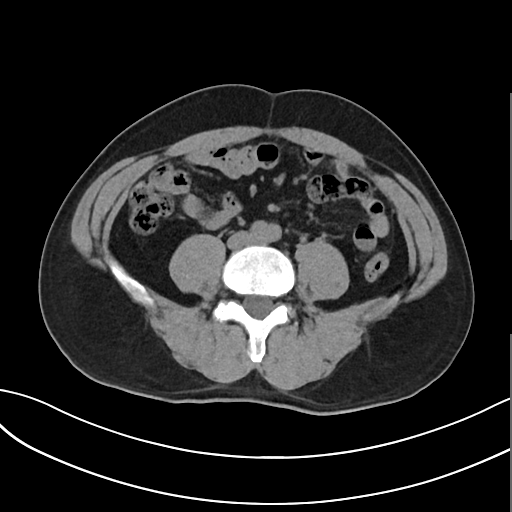
{
  "modality": {
    "type": "multiphase abdominal CT",
    "region": "liver",
    "phase": "non-contrast"
  },
  "patient": {
    "sex": "male",
    "age": 47
  },
  "history": [
    "cirrhosis",
    "viral hepatitis"
  ]
}